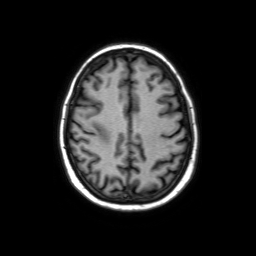
3 Tesla brain MRI. Series: axial without contrast. Study: ring-enhancing brain masses.